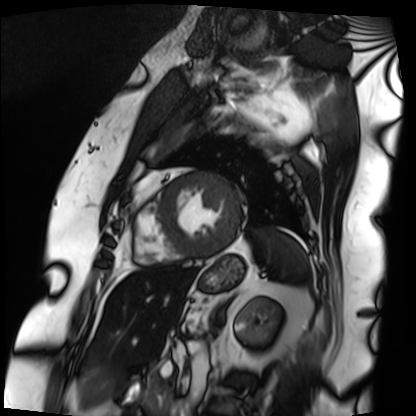
Cardiac MRI. Subject group: patient.